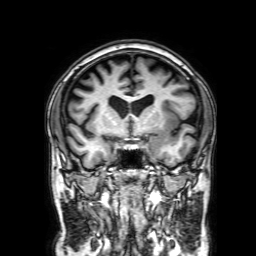
3 Tesla brain MRI. Series: 3D T1-weighted with SENSE. Study: ring-enhancing brain masses.